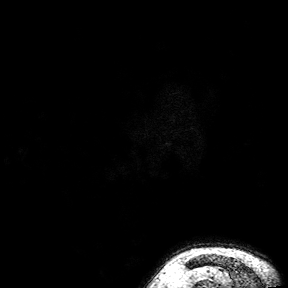
– modality · 3 Tesla brain MRI
– series · 3D T1-weighted turbo field echo with SENSE
– study · ring-enhancing brain masses